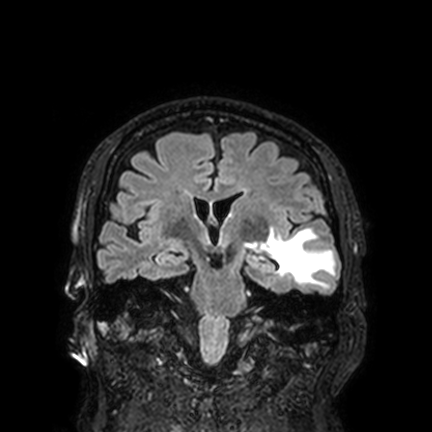
Summary:
3 Tesla brain MRI. Series: FLAIR VISTA with SENSE. Study: ring-enhancing brain masses.